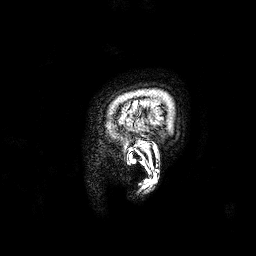
modality:
  type: brain MRI
  field_strength: 3T
series: 3D T1-weighted
study_topic: ring-enhancing brain masses